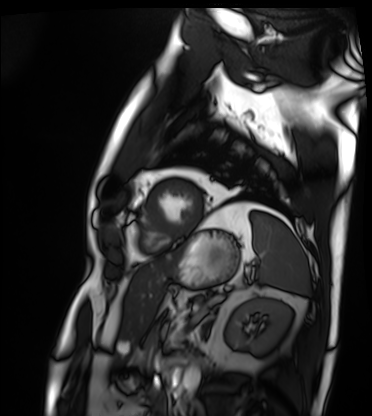
Cardiac MRI. Subject group: patient.